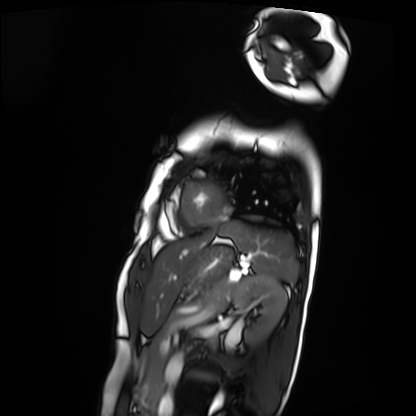
modality: cardiac MRI, subject group: patient.